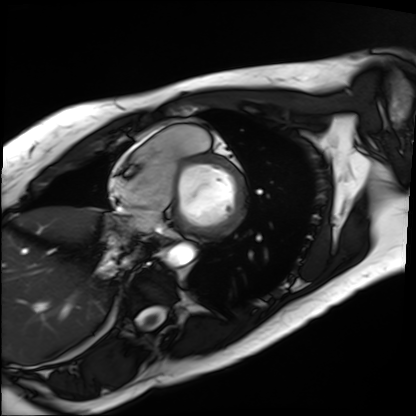
Q: What kind of scan is this?
A: Cardiac MRI.
Subject group: patient.